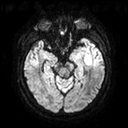
modality: 3 Tesla brain MRI
series: diffusion tensor imaging (medium iso)
study: ring-enhancing brain masses